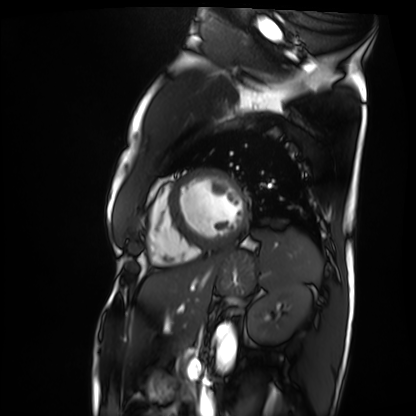
Cardiac MRI. Subject group: patient.